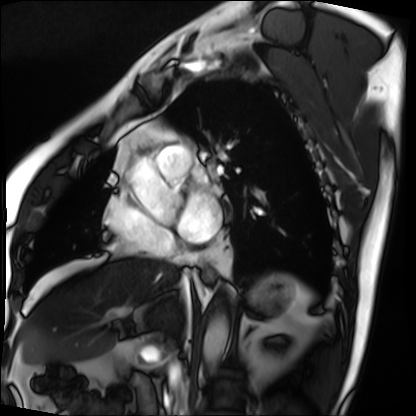
{
  "modality": "cardiac MRI",
  "cohort": "patient"
}